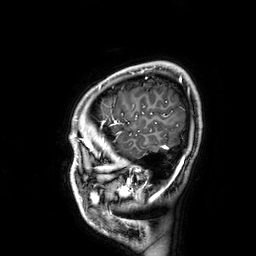
Summary: 3 Tesla brain MRI. Series: 3D T1-weighted. Study: ring-enhancing brain masses.